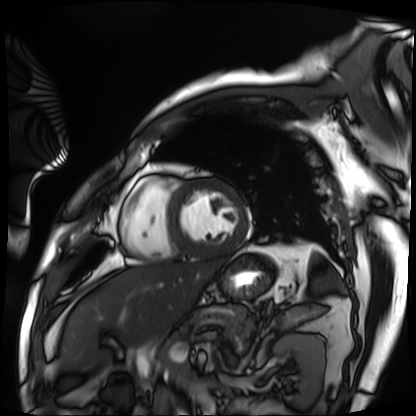
– modality: cardiac MRI
– subject group: patient